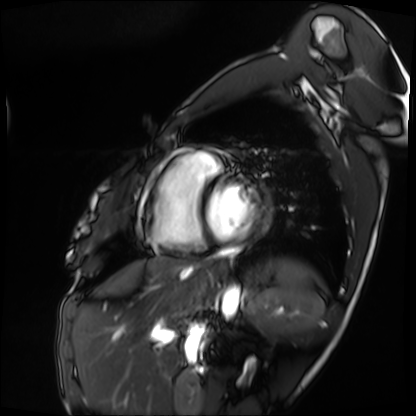
– modality: cardiac MRI
– subject group: patient